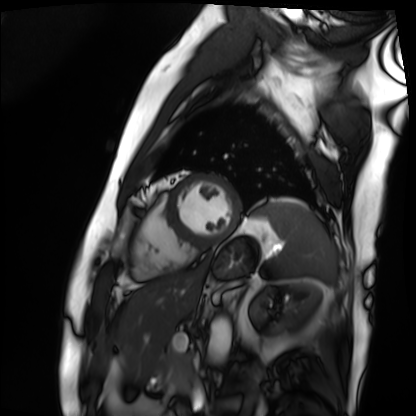
Clinical context:
Cardiac MRI. Subject group: patient.